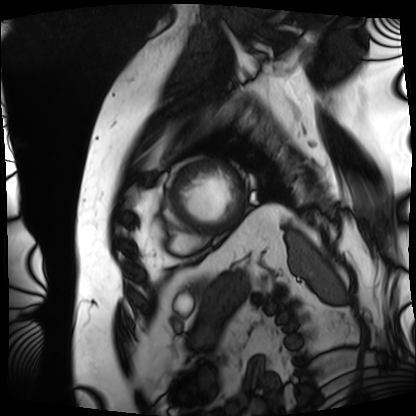
Summary:
Cardiac MRI. Subject group: patient.